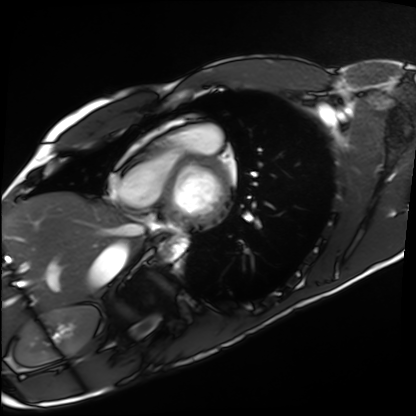
Cardiac MRI.
Subject group: healthy volunteer.